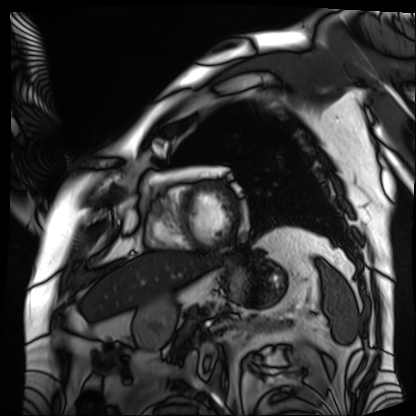
Cardiac MRI. Subject group: patient.